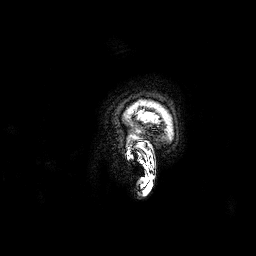
3 Tesla brain MRI. Series: 3D T1-weighted. Study: ring-enhancing brain masses.